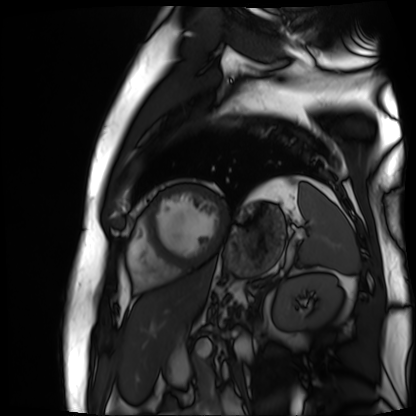
modality = cardiac MR image of the myocardium | subject cohort = cardiac patient.